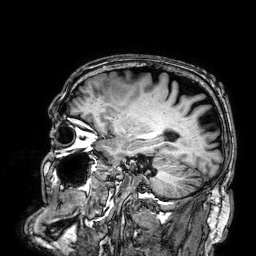
Case summary:
3 Tesla brain MRI. Series: 3D T1-weighted. Study: ring-enhancing brain masses.